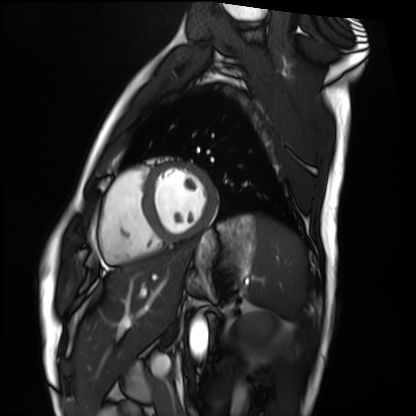
Cardiac MRI. Subject group: healthy volunteer.